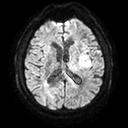
3 Tesla brain MRI. Series: diffusion tensor imaging (medium iso). Study: ring-enhancing brain masses.